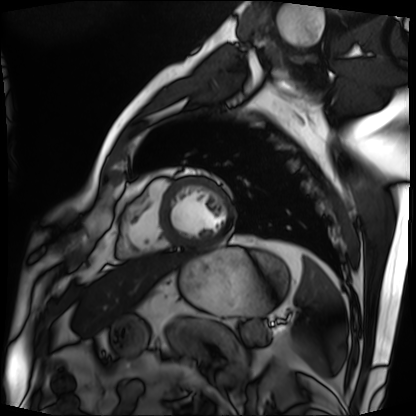
Cardiac MRI. Subject group: patient.